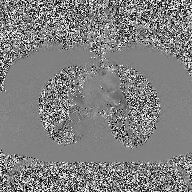
2D phase-contrast cine MRI of the ascending aorta, high-resolution GRAPPA acquisition.